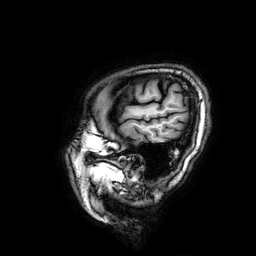
• modality — 3 Tesla brain MRI
• series — 3D T1-weighted
• study — ring-enhancing brain masses